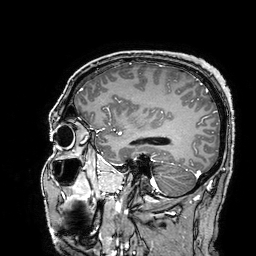
Case:
• modality: 3 Tesla brain MRI
• series: 3D T1-weighted turbo field echo with SENSE
• study: ring-enhancing brain masses